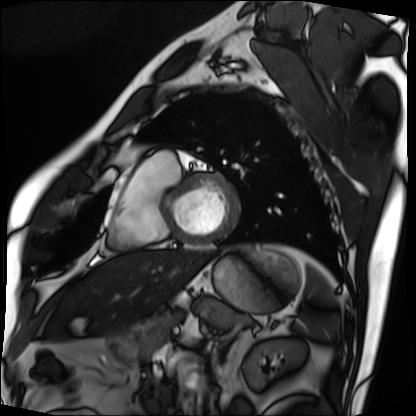
modality: cardiac MRI; subject group: patient.